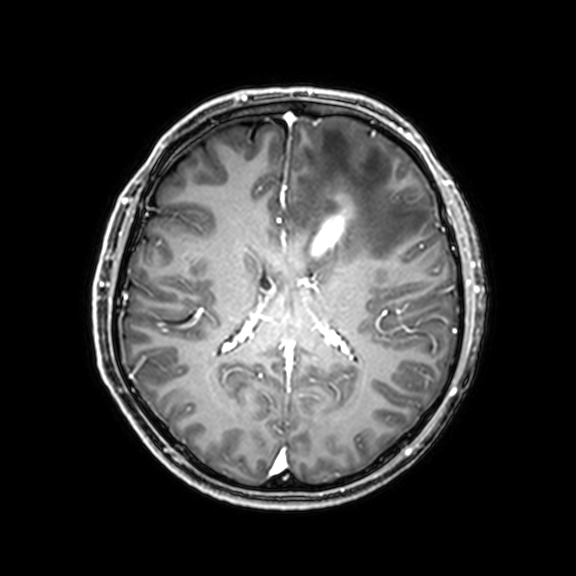
3 Tesla brain MRI.
Series: 3D T1-weighted with CLEAR.
Study: ring-enhancing brain masses.